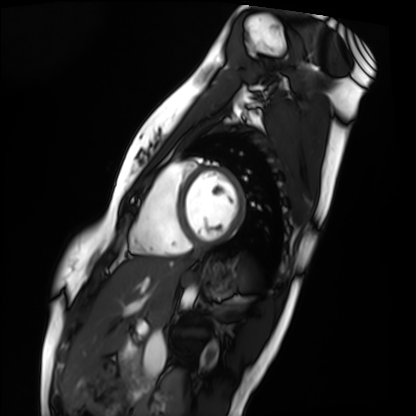
– modality — cardiac MRI
– subject group — healthy volunteer